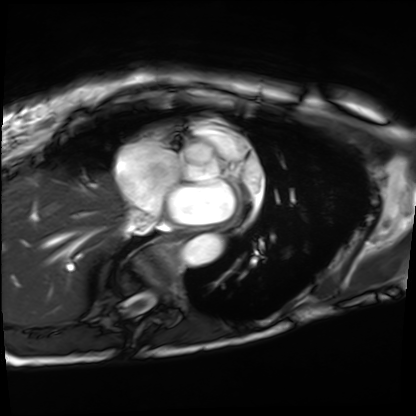
Cardiac MRI. Subject group: patient.